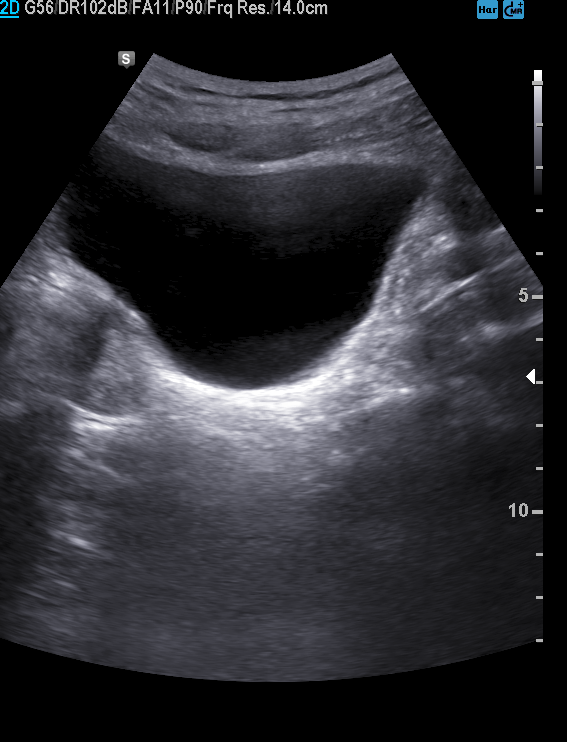
Clinical context: Genitourinary ultrasound.